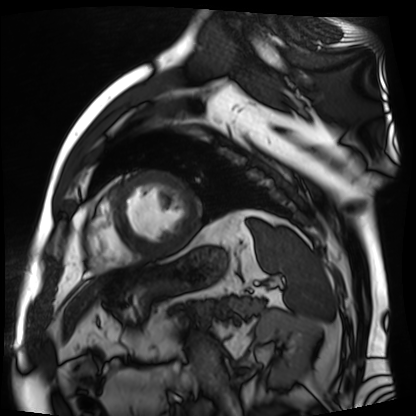
Cardiac MR image of the myocardium. Subject cohort: cardiac patient.